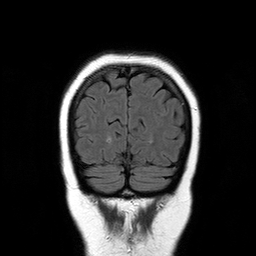
3 Tesla brain MRI.
Series: T2-weighted FLAIR.
Study: ring-enhancing brain masses.